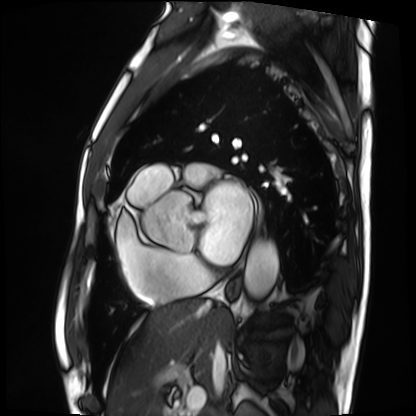
Cardiac MRI. Subject group: patient.